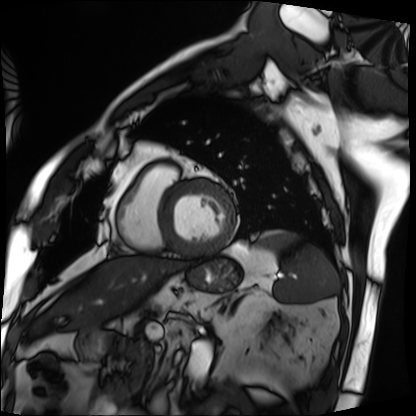
• modality · cardiac MRI
• subject group · patient